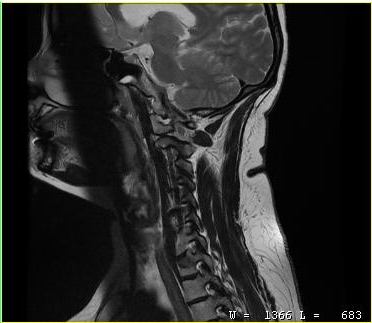
Q: What kind of scan is this?
A: MRI of the cervical spine.
Study: cervical spondylosis.